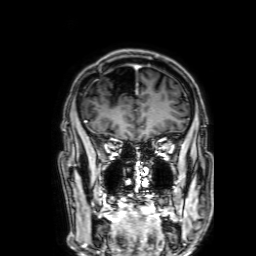
Summary:
3 Tesla brain MRI. Series: 3D T1-weighted with SENSE. Study: ring-enhancing brain masses.